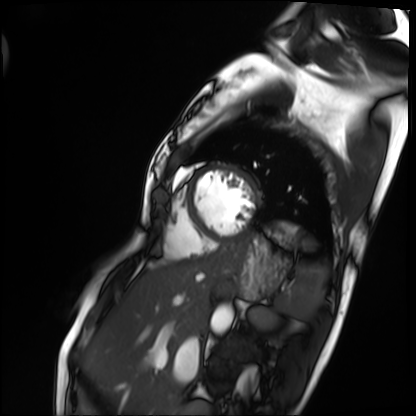
Cardiac MRI.
Subject group: patient.